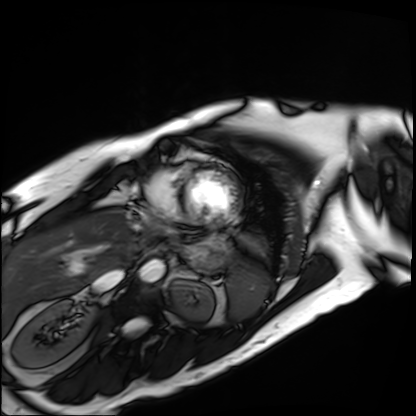
Q: What kind of scan is this?
A: Cardiac MRI.
Subject group: patient.